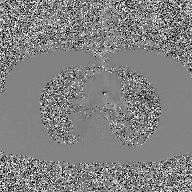
modality = 2D phase-contrast cine MRI of the ascending aorta, GAN super-resolution reconstruction.